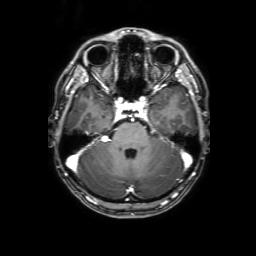
Q: What kind of scan is this?
A: 3 Tesla brain MRI.
Q: Series?
A: 3D T1-weighted with SENSE.
Study: ring-enhancing brain masses.